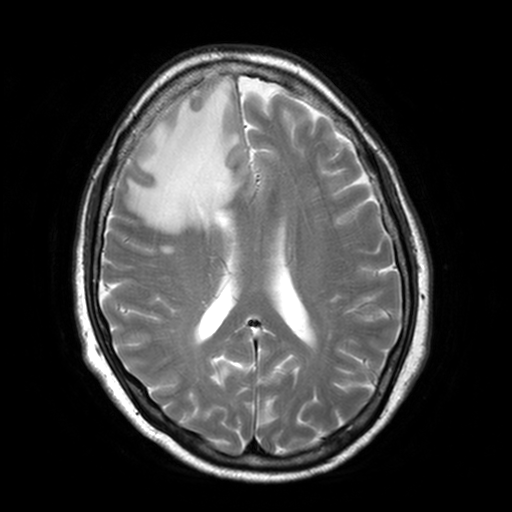
3 Tesla brain MRI. Series: T2-weighted turbo spin echo, 3 mm. Study: ring-enhancing brain masses.